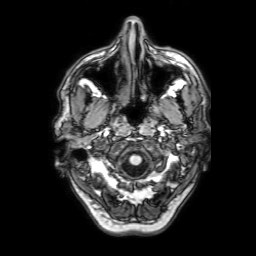
modality:
  type: brain MRI
  field_strength: 3T
series: 3D T1-weighted with SENSE
study_topic: ring-enhancing brain masses